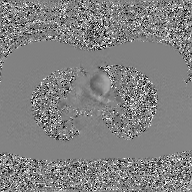
<case>
  <modality>
    <type>2D phase-contrast cine MRI</type>
    <region>ascending aorta</region>
    <reconstruction>GAN super-resolution reconstruction</reconstruction>
  </modality>
</case>